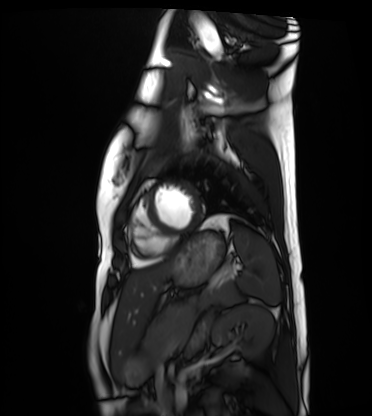
<study>
<modality>cardiac MRI</modality>
<cohort>healthy volunteer</cohort>
</study>